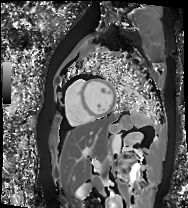
Cardiac MR image of the myocardium. Subject cohort: healthy volunteer.